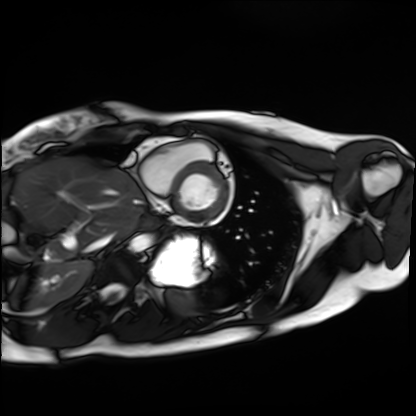
Cardiac MRI.
Subject group: healthy volunteer.